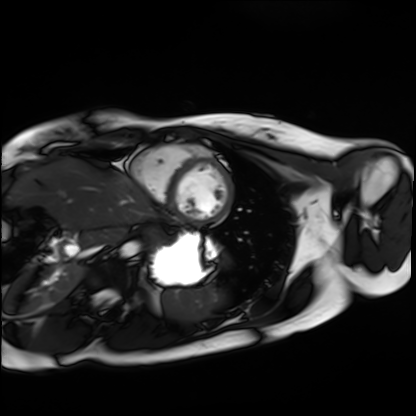
Cardiac MRI.
Subject group: healthy volunteer.